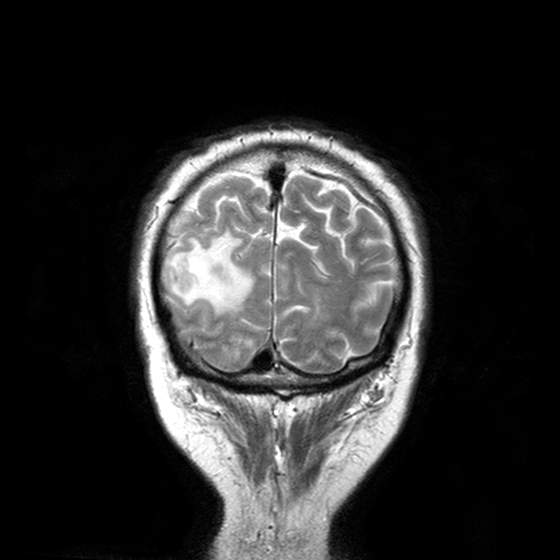
Q: What kind of scan is this?
A: 3 Tesla brain MRI.
Study: ring-enhancing brain masses.